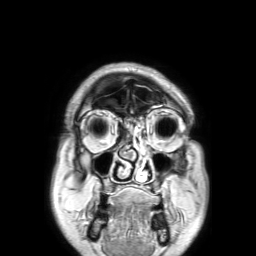
3 Tesla brain MRI.
Series: 3D T1-weighted TFE with SENSE.
Study: ring-enhancing brain masses.